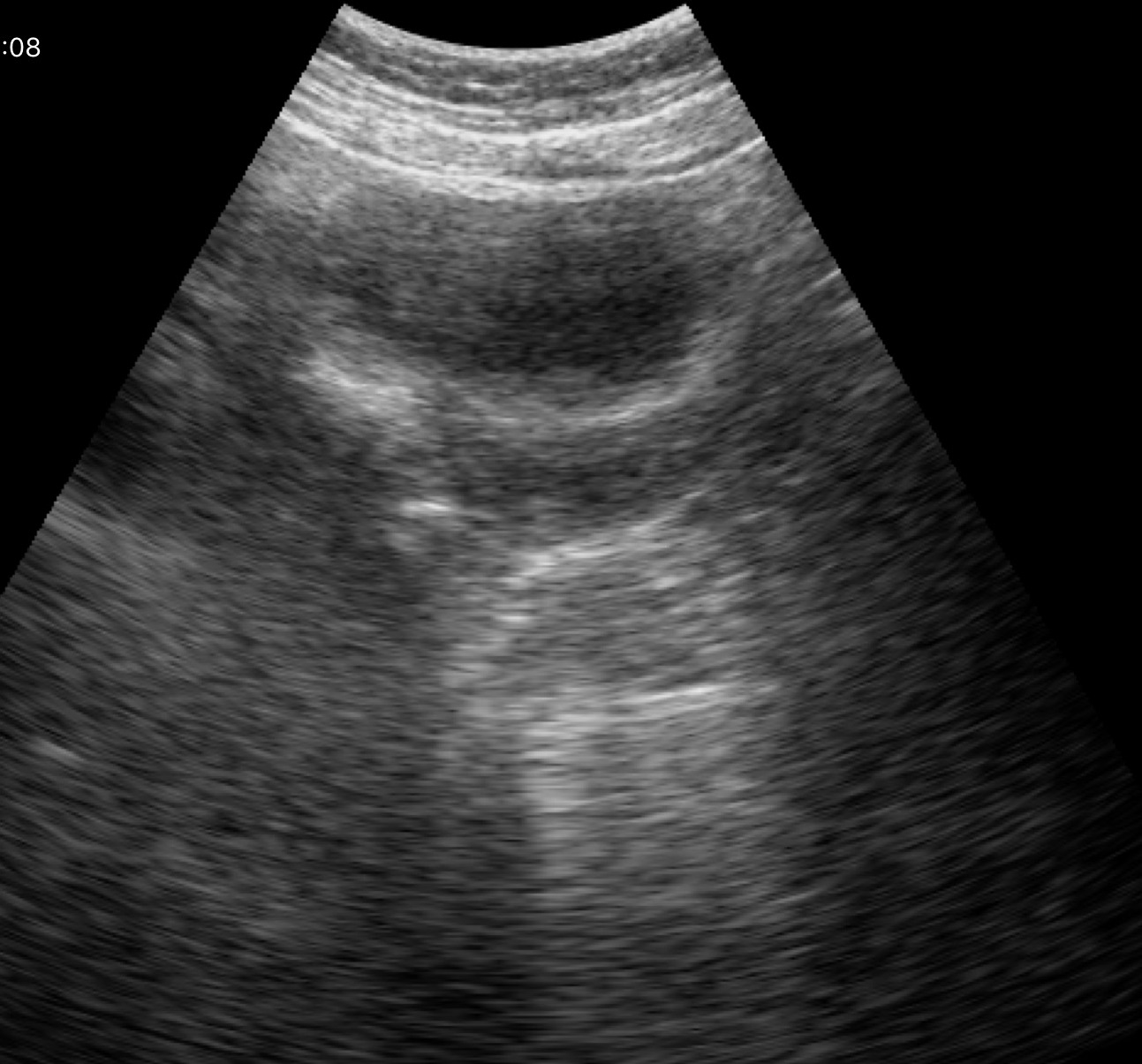
modality: genitourinary ultrasound.